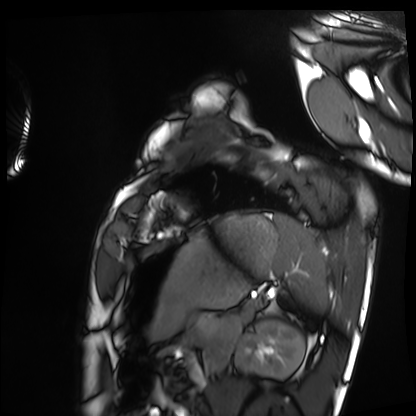
Q: What kind of scan is this?
A: Cardiac MRI.
Subject group: healthy volunteer.